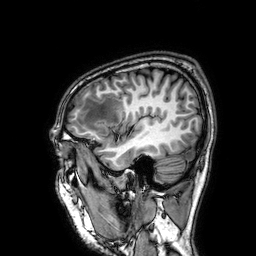
3 Tesla brain MRI. Series: 3D T1-weighted. Study: ring-enhancing brain masses.